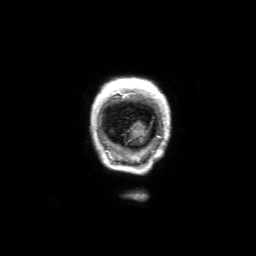
3 Tesla brain MRI. Study: ring-enhancing brain masses.